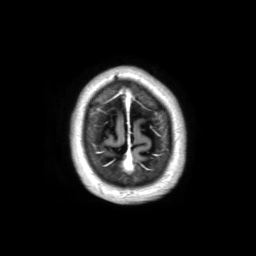
Clinical context:
3 Tesla brain MRI. Series: 3D T1-weighted TFE with SENSE. Study: ring-enhancing brain masses.